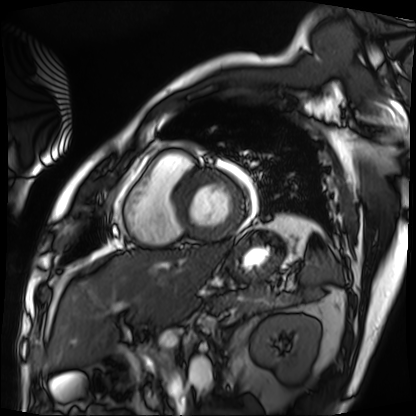
Cardiac MRI. Subject group: patient.